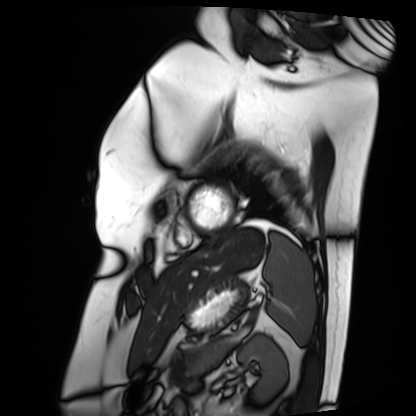
Case summary: Cardiac MRI. Subject group: patient.